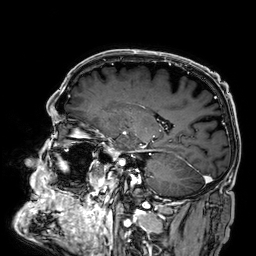
3 Tesla brain MRI.
Series: 3D T1-weighted.
Study: ring-enhancing brain masses.